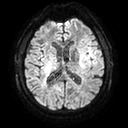
- modality · 3 Tesla brain MRI
- series · diffusion tensor imaging (medium iso)
- study · ring-enhancing brain masses